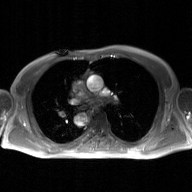
{"modality": {"type": "2D phase-contrast cine MRI", "region": "ascending aorta", "reconstruction": "GAN super-resolution reconstruction"}}